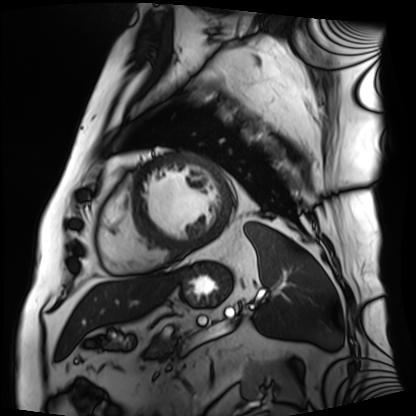
modality: cardiac MRI | subject group: patient.